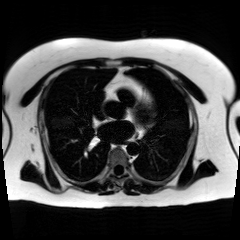
Case summary: Chemical-shift-encoded cardiac MRI.